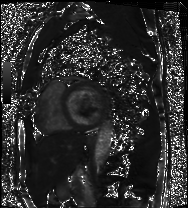
  modality: cardiac MRI
  cohort: patient